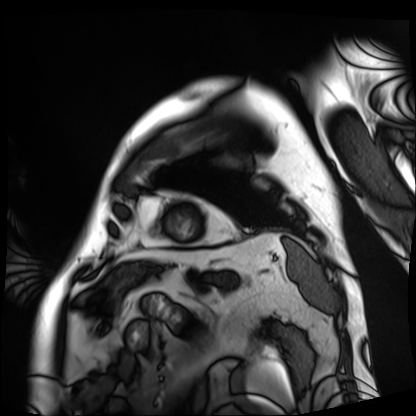
Clinical context: Cardiac MRI. Subject group: patient.